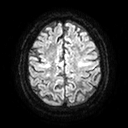
3 Tesla brain MRI. Series: diffusion tensor imaging (medium iso). Study: ring-enhancing brain masses.